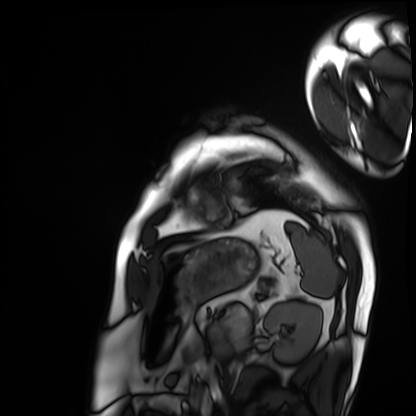
Cardiac MRI.
Subject group: patient.